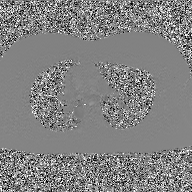
2D phase-contrast cine MRI of the ascending aorta, GAN super-resolution reconstruction.